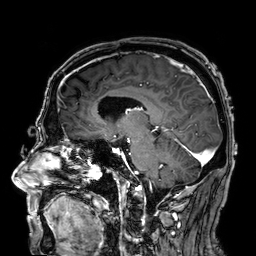
3 Tesla brain MRI. Series: 3D T1-weighted. Study: ring-enhancing brain masses.